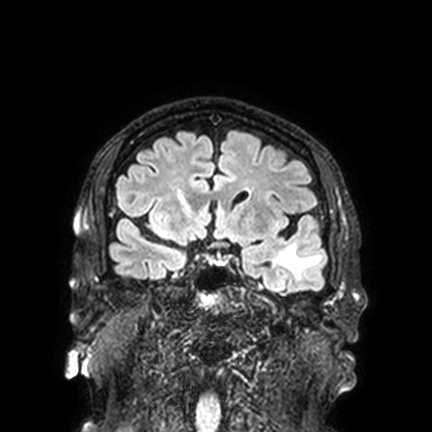
3 Tesla brain MRI.
Series: FLAIR VISTA with SENSE.
Study: ring-enhancing brain masses.